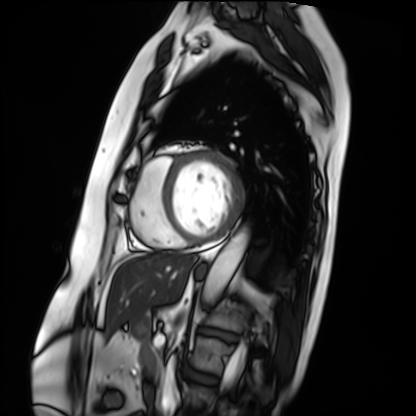
Summary: Cardiac MRI. Subject group: patient.